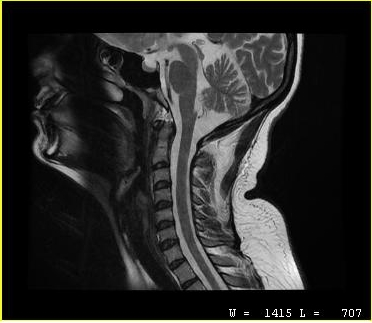
MRI of the cervical spine.
Study: cervical spondylosis.